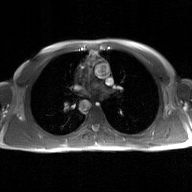
Summary: 2D phase-contrast cine MRI of the ascending aorta, GAN super-resolution reconstruction.